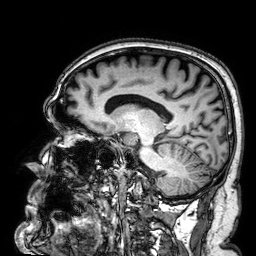
Summary: 3 Tesla brain MRI. Series: 3D T1-weighted. Study: ring-enhancing brain masses.